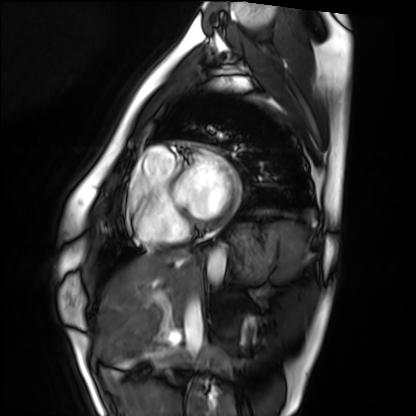
Cardiac MRI.
Subject group: healthy volunteer.